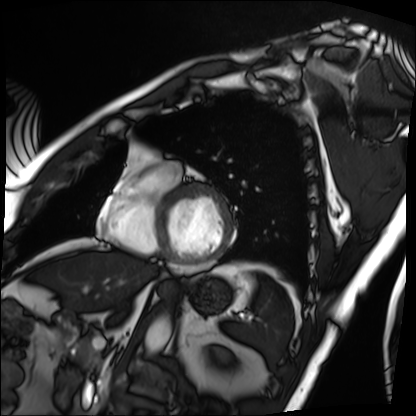
Case:
- modality: cardiac MRI
- subject group: patient